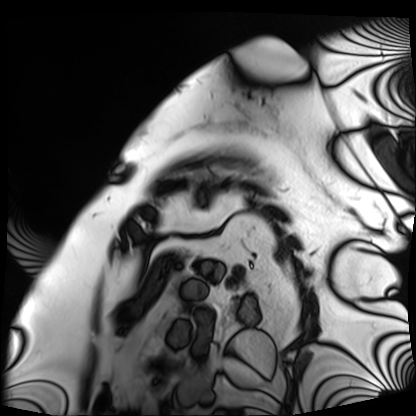
<record>
  <modality>cardiac MRI</modality>
  <cohort>patient</cohort>
</record>